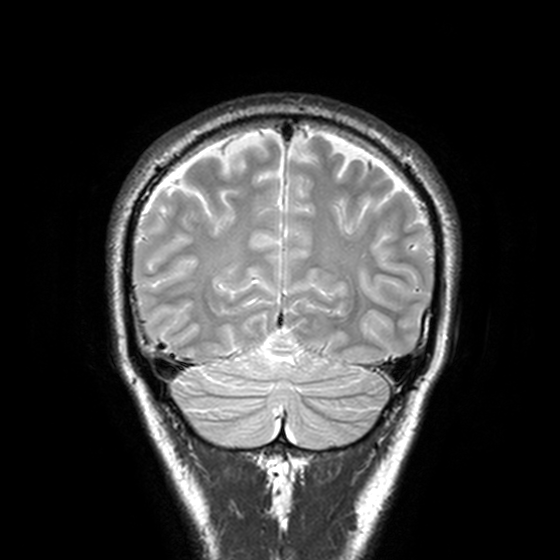
| field | value |
|---|---|
| modality | 3 Tesla brain MRI |
| study | ring-enhancing brain masses |